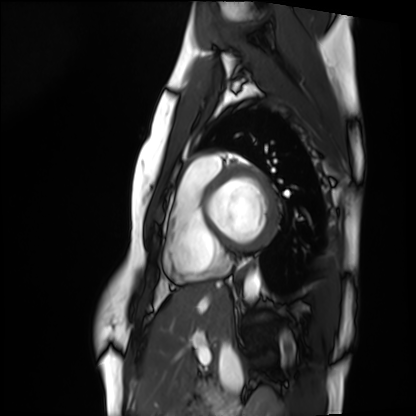
<record>
  <modality>cardiac MRI</modality>
  <cohort>healthy volunteer</cohort>
</record>